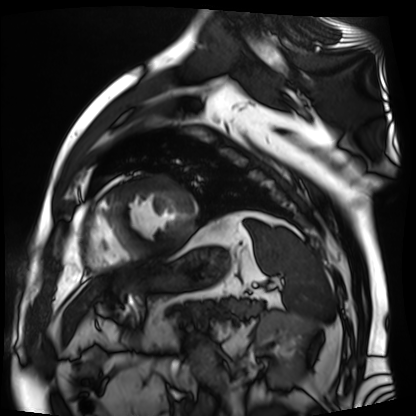
Summary:
Cardiac MR image of the myocardium. Subject cohort: cardiac patient.